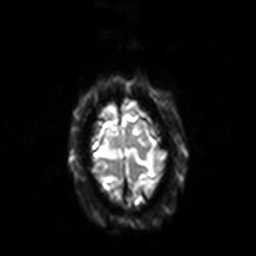
3 Tesla brain MRI.
Series: diffusion-weighted imaging with SENSE (WIP).
Study: ring-enhancing brain masses.